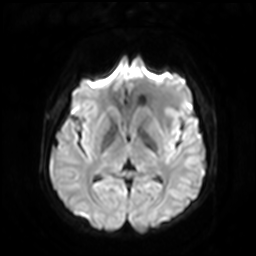
  modality:
    type: brain MRI
    field_strength: 3T
  series: diffusion-weighted imaging with SENSE (WIP)
  study_topic: ring-enhancing brain masses